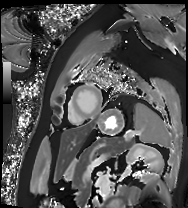
modality = cardiac MRI, subject group = patient.